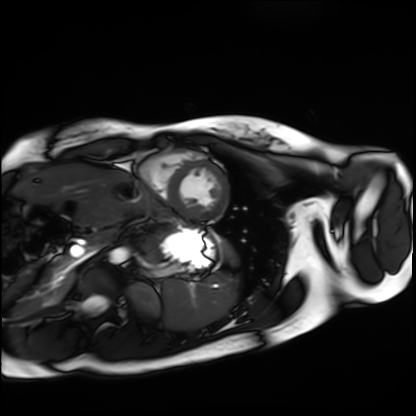
modality: cardiac MRI
subject group: healthy volunteer